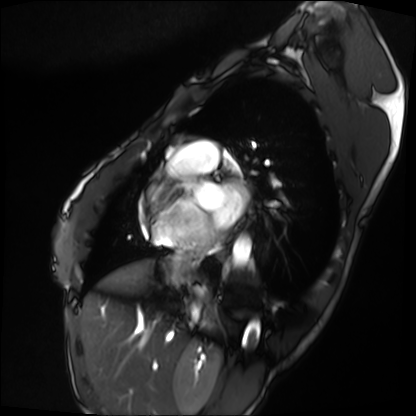
Cardiac MRI. Subject group: patient.